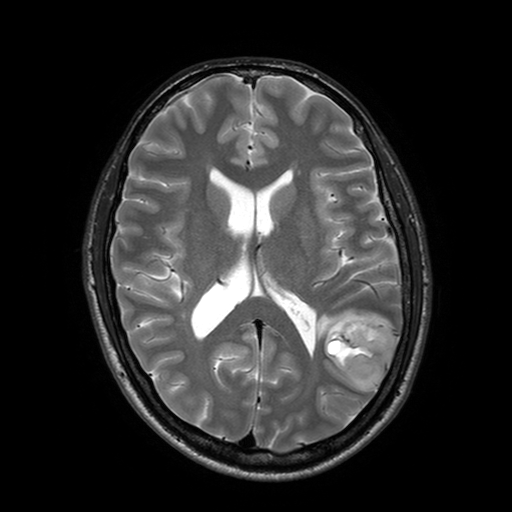
Summary: 3 Tesla brain MRI. Series: T2-weighted turbo spin echo with SENSE. Study: ring-enhancing brain masses.